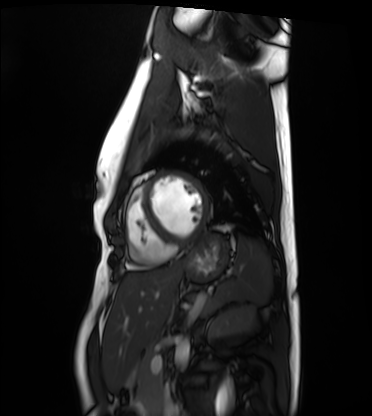
Case:
– modality · cardiac MRI
– subject group · healthy volunteer